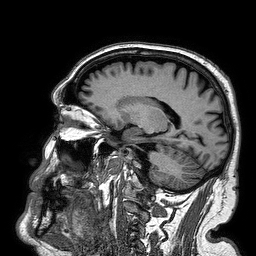
| field | value |
|---|---|
| modality | 3 Tesla brain MRI |
| series | 3D T1-weighted turbo field echo |
| study | ring-enhancing brain masses |